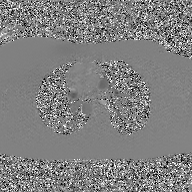
Case summary: 2D phase-contrast cine MRI of the ascending aorta, GAN super-resolution reconstruction.